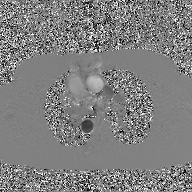
– modality · 2D phase-contrast cine MRI of the ascending aorta, GAN super-resolution reconstruction